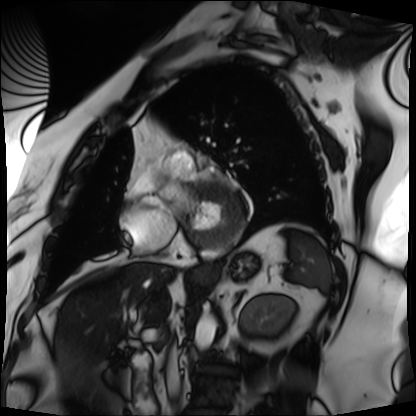
Summary:
Cardiac MRI. Subject group: patient.